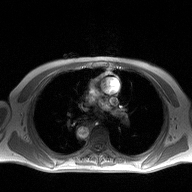
<scan>
  <modality>
    <type>2D phase-contrast cine MRI</type>
    <region>ascending aorta</region>
    <reconstruction>high-resolution GRAPPA acquisition</reconstruction>
  </modality>
</scan>